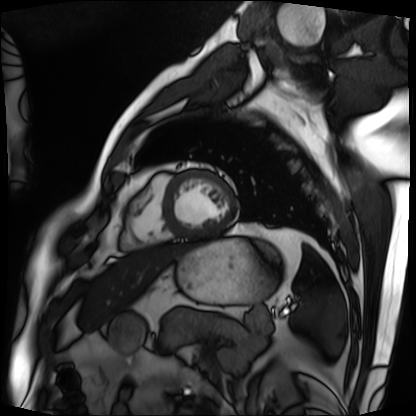
Summary: Cardiac MRI. Subject group: patient.